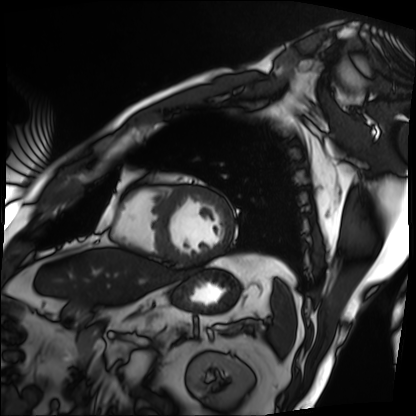
Case summary:
Cardiac MRI. Subject group: patient.